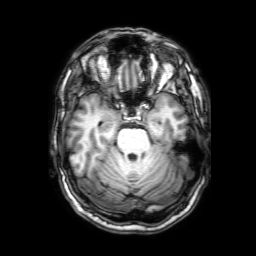
3 Tesla brain MRI. Series: 3D T1-weighted with SENSE. Study: ring-enhancing brain masses.